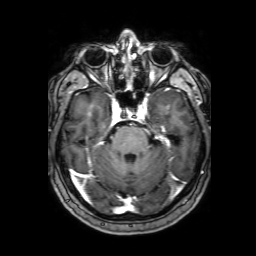
3 Tesla brain MRI. Series: 3D T1-weighted with SENSE. Study: ring-enhancing brain masses.